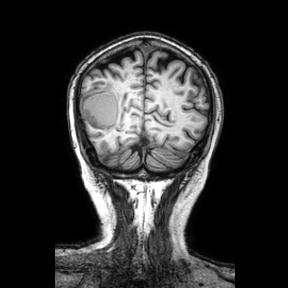
Clinical context:
3 Tesla brain MRI. Series: coronal. Study: ring-enhancing brain masses.